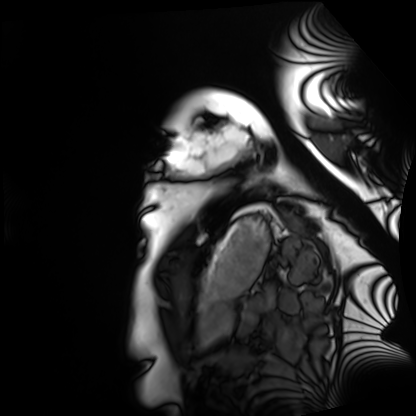
Summary: Cardiac MRI. Subject group: healthy volunteer.